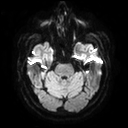
Summary: 3 Tesla brain MRI. Series: diffusion tensor imaging (medium iso). Study: ring-enhancing brain masses.